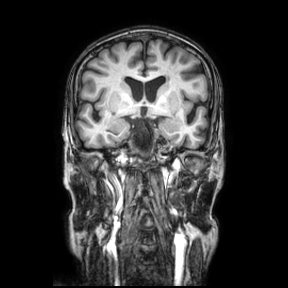
3 Tesla brain MRI. Series: coronal. Study: ring-enhancing brain masses.